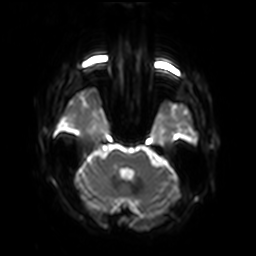
Case summary: 3 Tesla brain MRI. Study: ring-enhancing brain masses.